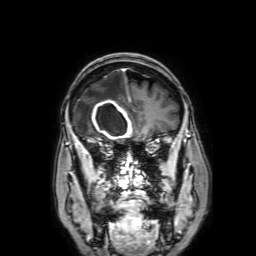
  modality:
    type: brain MRI
    field_strength: 3T
  series: 3D T1-weighted with SENSE
  study_topic: ring-enhancing brain masses